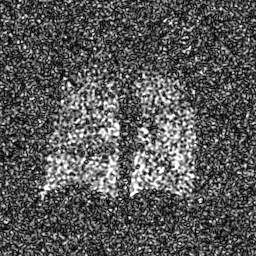
Q: What kind of scan is this?
A: Hyperpolarized 129Xe ventilation MRI of the lungs.
Q: SNR level?
A: 8 of 8 (the deposit holds this scan as its native image and as seven SNR-degraded versions).